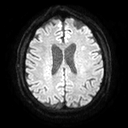
3 Tesla brain MRI.
Series: diffusion tensor imaging (medium iso).
Study: ring-enhancing brain masses.